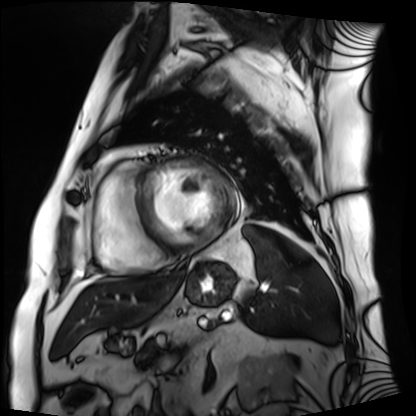
Cardiac MRI. Subject group: patient.